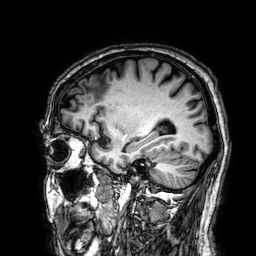
– modality — 3 Tesla brain MRI
– series — 3D T1-weighted
– study — ring-enhancing brain masses